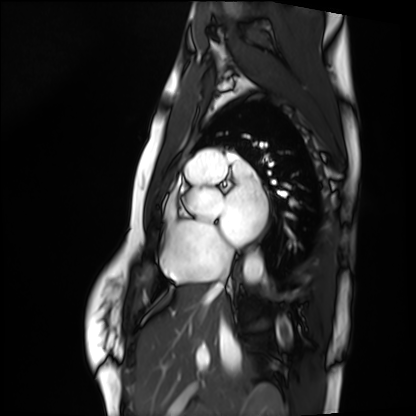
Clinical context:
Cardiac MRI. Subject group: healthy volunteer.